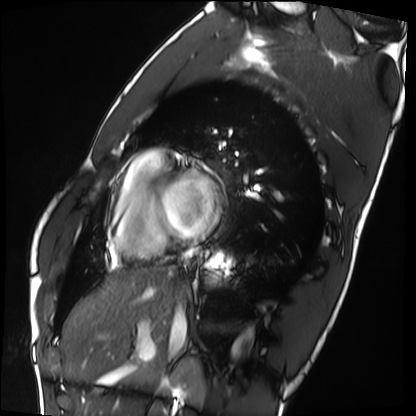
modality: cardiac MRI, subject group: healthy volunteer.